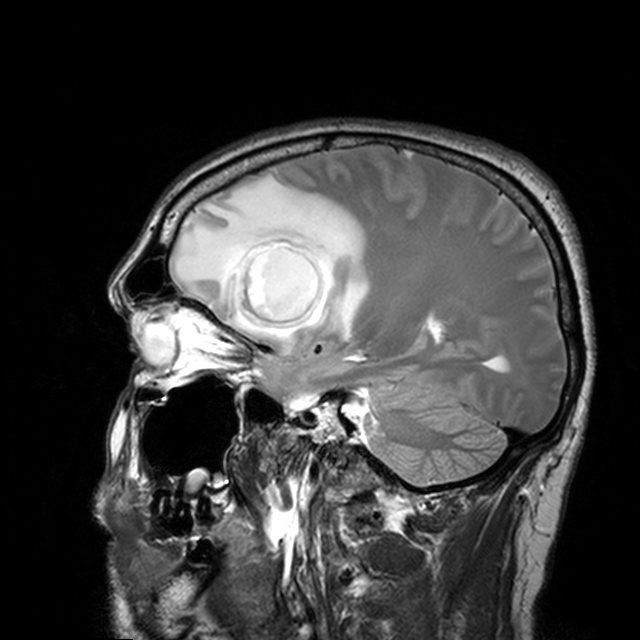
3 Tesla brain MRI.
Series: T2-weighted turbo spin echo with CLEAR.
Study: ring-enhancing brain masses.